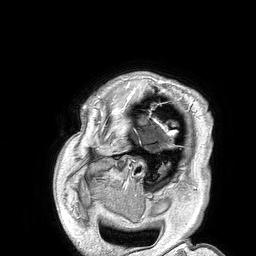
3 Tesla brain MRI. Series: 3D T1-weighted turbo field echo. Study: ring-enhancing brain masses.